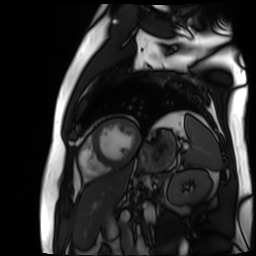
Cardiac MR image of the myocardium.
Subject cohort: cardiac patient.